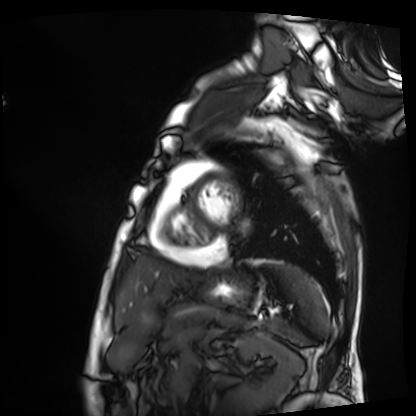
  modality: cardiac MRI
  cohort: patient